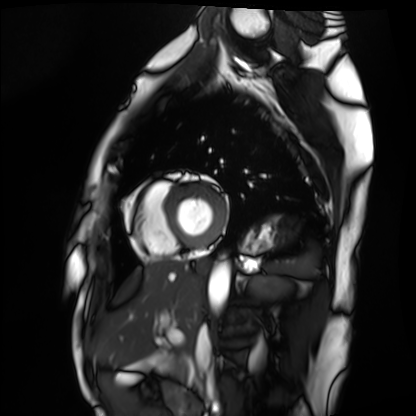
Case summary:
Cardiac MRI. Subject group: healthy volunteer.